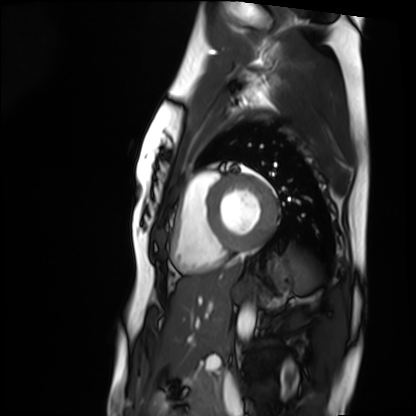
Clinical context:
Cardiac MRI. Subject group: healthy volunteer.